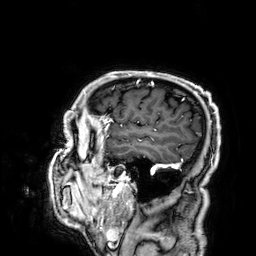
Q: What kind of scan is this?
A: 3 Tesla brain MRI.
Q: Series?
A: 3D T1-weighted.
Study: ring-enhancing brain masses.